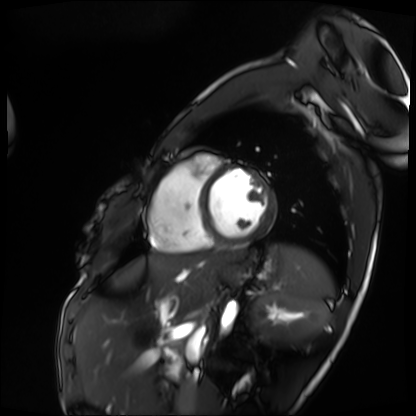
modality — cardiac MRI; subject group — patient.